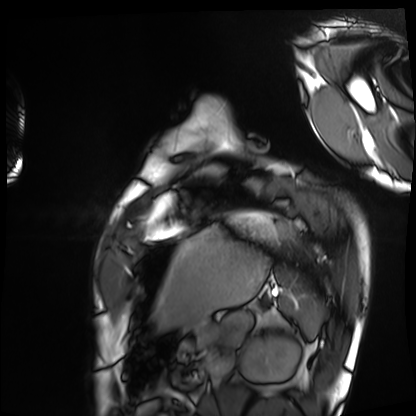
Cardiac MRI. Subject group: healthy volunteer.